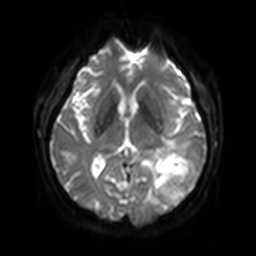
3 Tesla brain MRI.
Study: ring-enhancing brain masses.